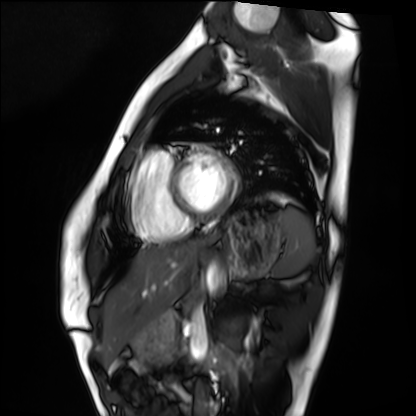
Cardiac MRI. Subject group: healthy volunteer.